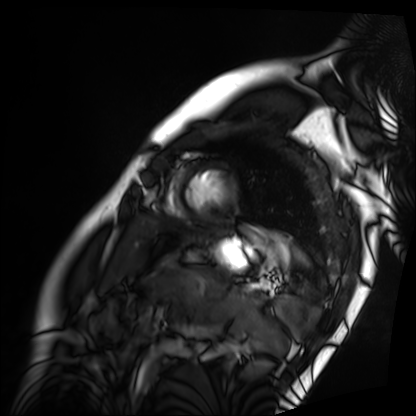
Summary:
Cardiac MRI. Subject group: patient.